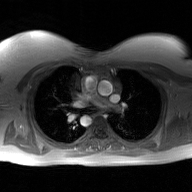
| field | value |
|---|---|
| modality | 2D phase-contrast cine MRI of the ascending aorta, GAN super-resolution reconstruction |